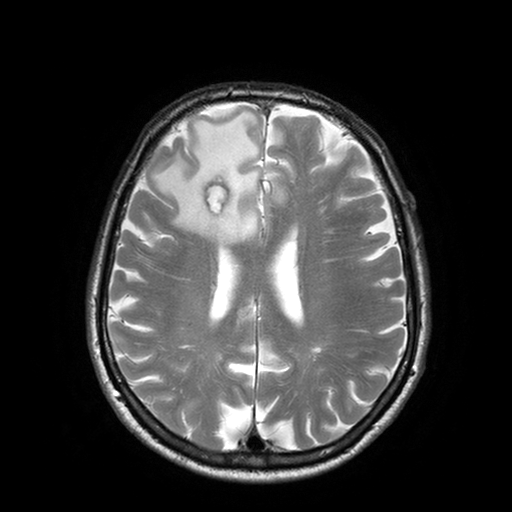
{"modality": {"type": "brain MRI", "field_strength": "3T"}, "series": "T2-weighted turbo spin echo with SENSE", "study_topic": "ring-enhancing brain masses"}